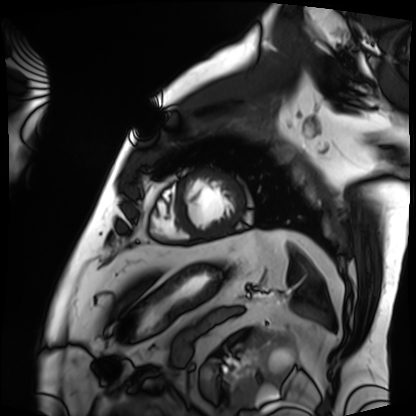
<record>
  <modality>cardiac MRI</modality>
  <cohort>patient</cohort>
</record>